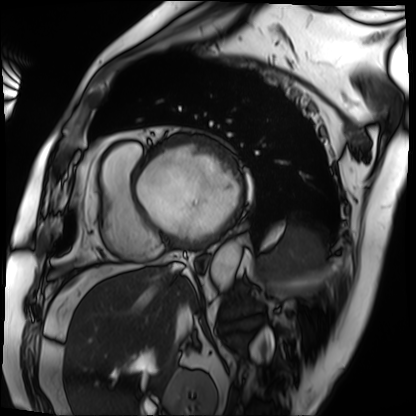
Cardiac MRI. Subject group: patient.